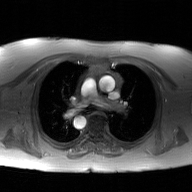
modality=2D phase-contrast cine MRI of the ascending aorta, GAN super-resolution reconstruction.